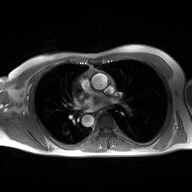
<record>
  <modality>
    <type>2D phase-contrast cine MRI</type>
    <region>ascending aorta</region>
    <reconstruction>high-resolution GRAPPA acquisition</reconstruction>
  </modality>
</record>